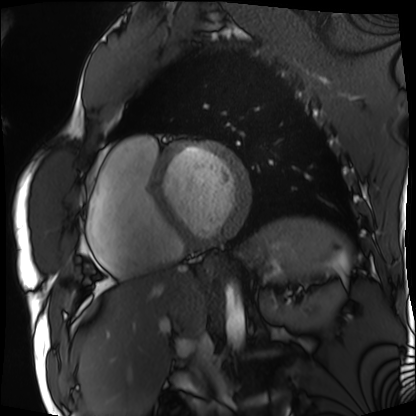
modality = cardiac MRI
subject group = patient